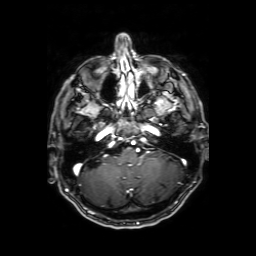
* modality: 3 Tesla brain MRI
* series: axial T1-weighted fusion image
* study: ring-enhancing brain masses